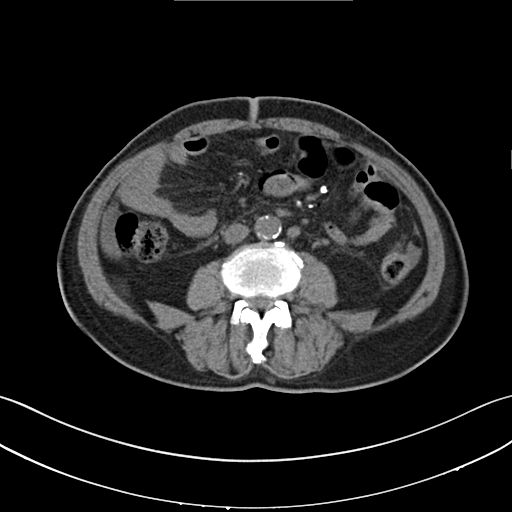
Multiphase abdominal CT, liver, non-contrast phase. Patient: male, age 70. History: cirrhosis.